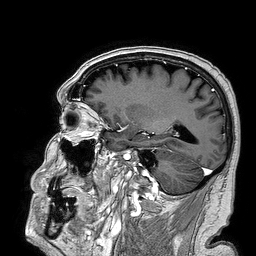
– modality · 3 Tesla brain MRI
– series · 3D T1-weighted turbo field echo
– study · ring-enhancing brain masses